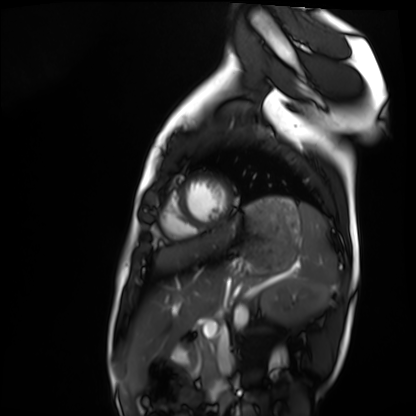
Cardiac MRI. Subject group: healthy volunteer.